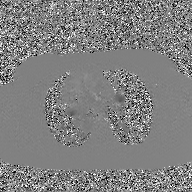
Clinical context:
2D phase-contrast cine MRI of the ascending aorta, GAN super-resolution reconstruction.